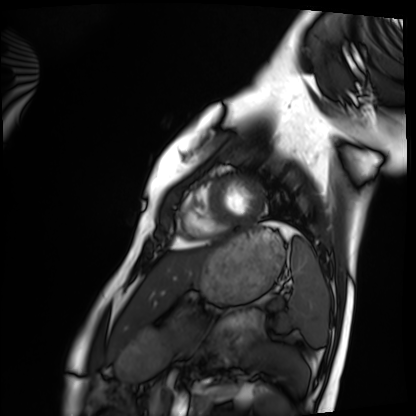
modality — cardiac MRI | subject group — healthy volunteer.